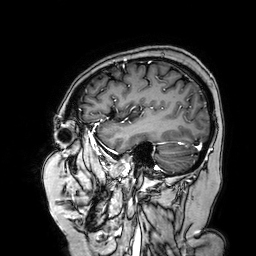
| field | value |
|---|---|
| modality | 3 Tesla brain MRI |
| series | 3D T1-weighted turbo field echo with SENSE |
| study | ring-enhancing brain masses |